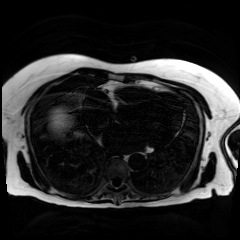
Clinical context: Chemical-shift-encoded cardiac MRI.